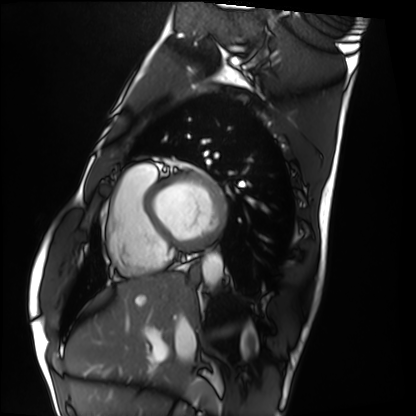
Cardiac MRI.
Subject group: healthy volunteer.